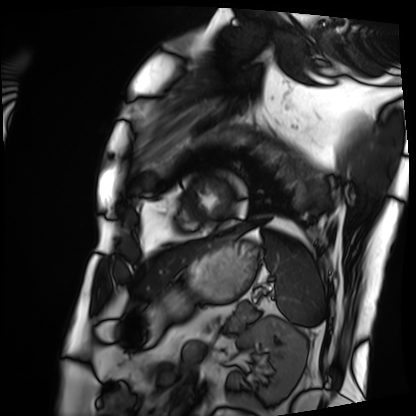
Summary:
Cardiac MRI. Subject group: patient.